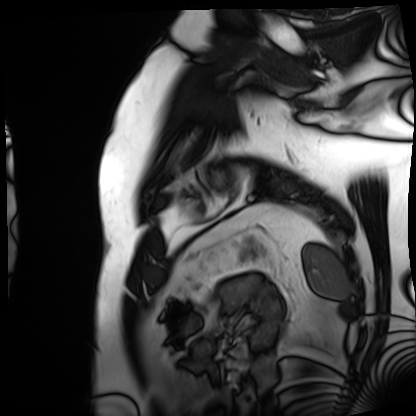
modality: cardiac MRI, subject group: patient.